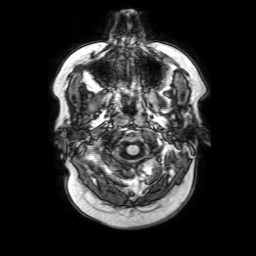
<scan>
  <modality>
    <type>brain MRI</type>
    <field_strength>3T</field_strength>
  </modality>
  <series>3D T1-weighted with SENSE</series>
  <study_topic>ring-enhancing brain masses</study_topic>
</scan>